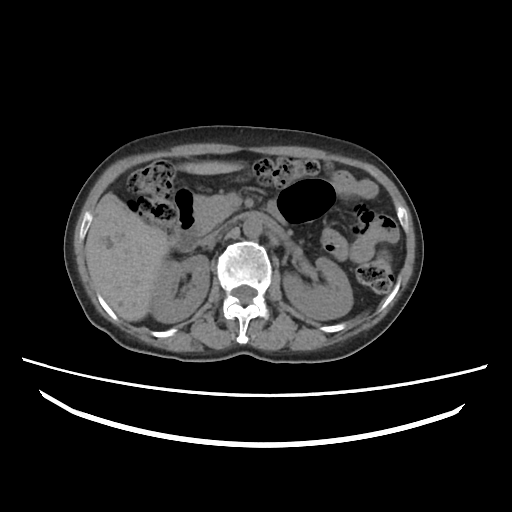
Q: What kind of scan is this?
A: Multiphase abdominal CT, liver, non-contrast phase.
Q: Patient?
A: Female, age 65.
Q: History?
A: Prior chemotherapy.